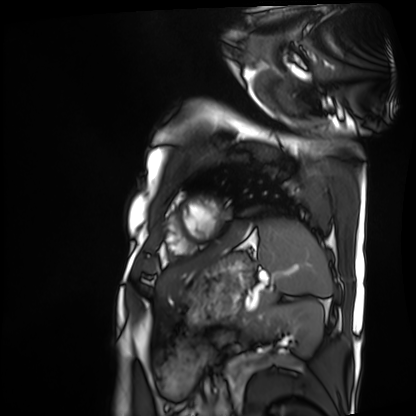
modality=cardiac MRI; subject group=patient.